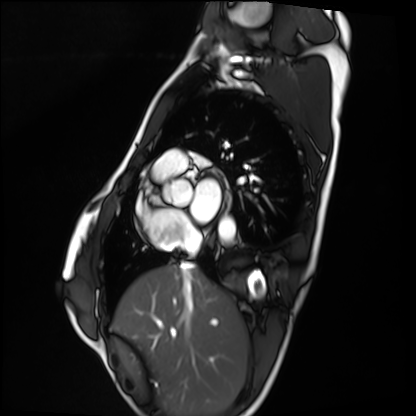
- modality — cardiac MRI
- subject group — healthy volunteer